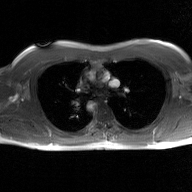
2D phase-contrast cine MRI of the ascending aorta, GAN super-resolution reconstruction.